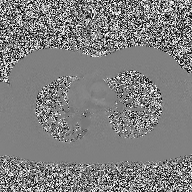
Q: What kind of scan is this?
A: 2D phase-contrast cine MRI of the ascending aorta.